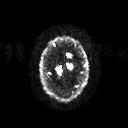
Summary:
3 Tesla brain MRI. Series: diffusion tensor imaging (medium iso). Study: ring-enhancing brain masses.